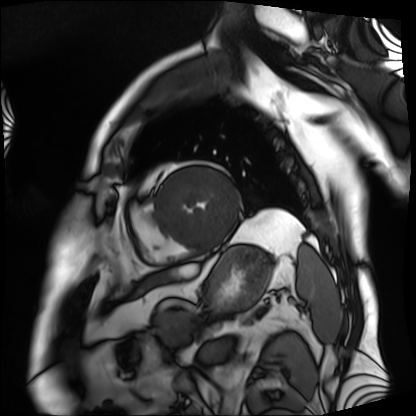
Case:
* modality — cardiac MRI
* subject group — patient